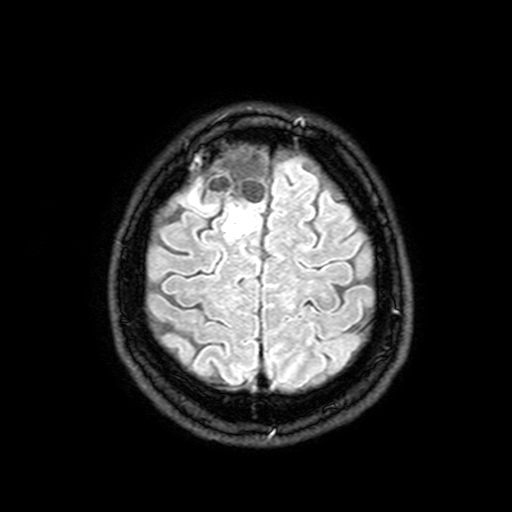
3 Tesla brain MRI. Series: FLAIR with SPAIR, 3 mm. Study: ring-enhancing brain masses.